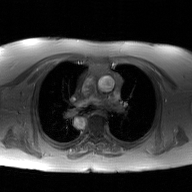
2D phase-contrast cine MRI of the ascending aorta, GAN super-resolution reconstruction.